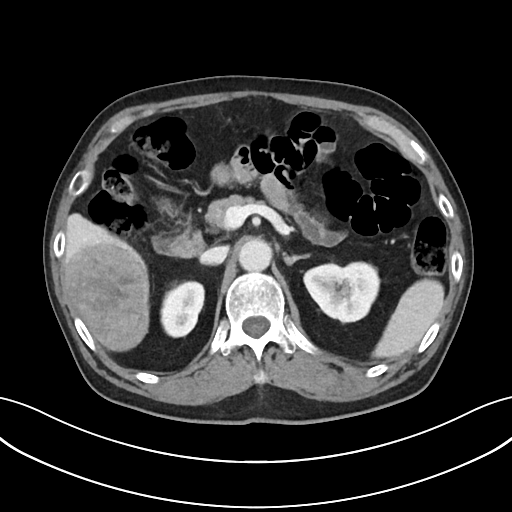
Multiphase abdominal CT, liver, portal venous phase.
Patient: male, age 76.
History: cirrhosis, viral hepatitis.